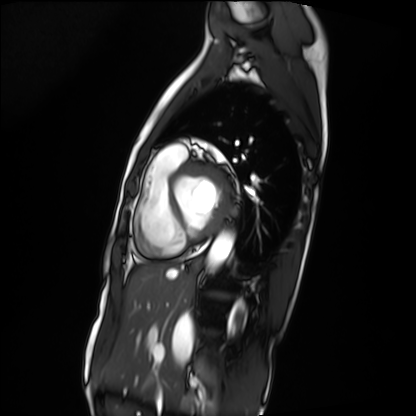
Cardiac MRI. Subject group: patient.